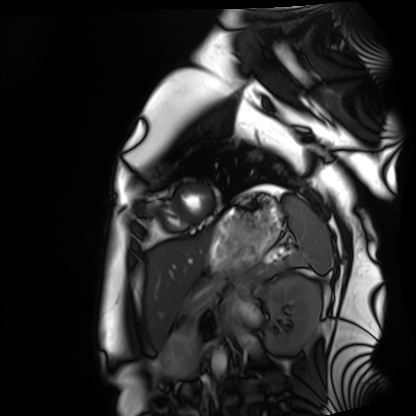
modality: cardiac MRI
cohort: healthy volunteer